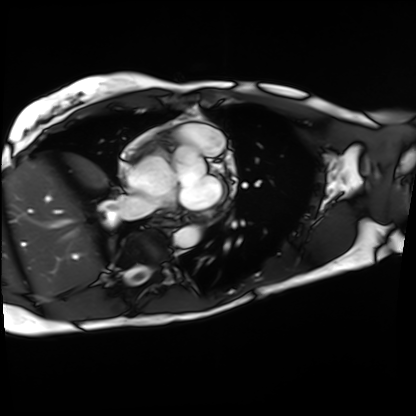
- modality: cardiac MRI
- subject group: patient